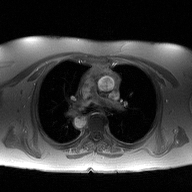
2D phase-contrast cine MRI of the ascending aorta, high-resolution GRAPPA acquisition.